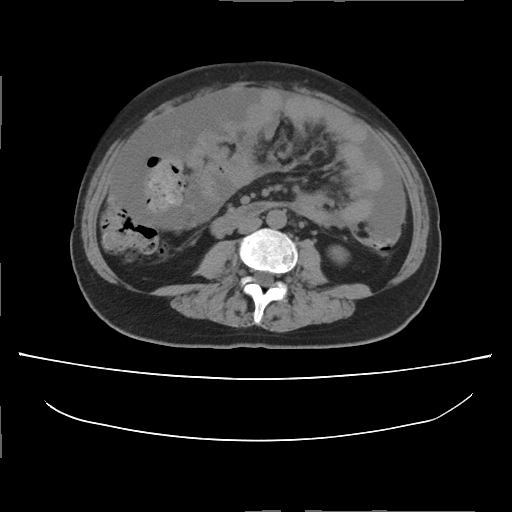
{"modality": {"type": "multiphase abdominal CT", "region": "liver", "phase": "non-contrast"}, "patient": {"sex": "female", "age": 57}}